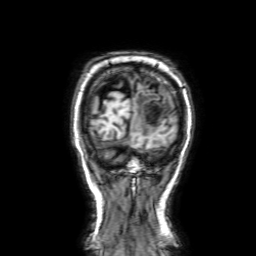
Q: What kind of scan is this?
A: 3 Tesla brain MRI.
Q: Series?
A: 3D T1-weighted with SENSE.
Study: ring-enhancing brain masses.